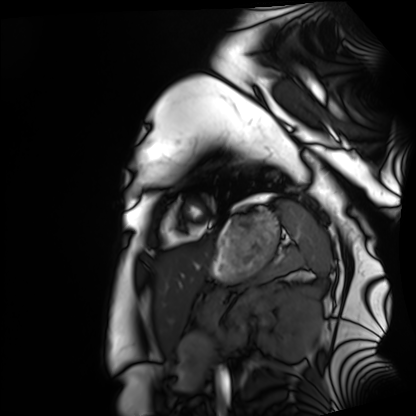
Cardiac MRI. Subject group: healthy volunteer.